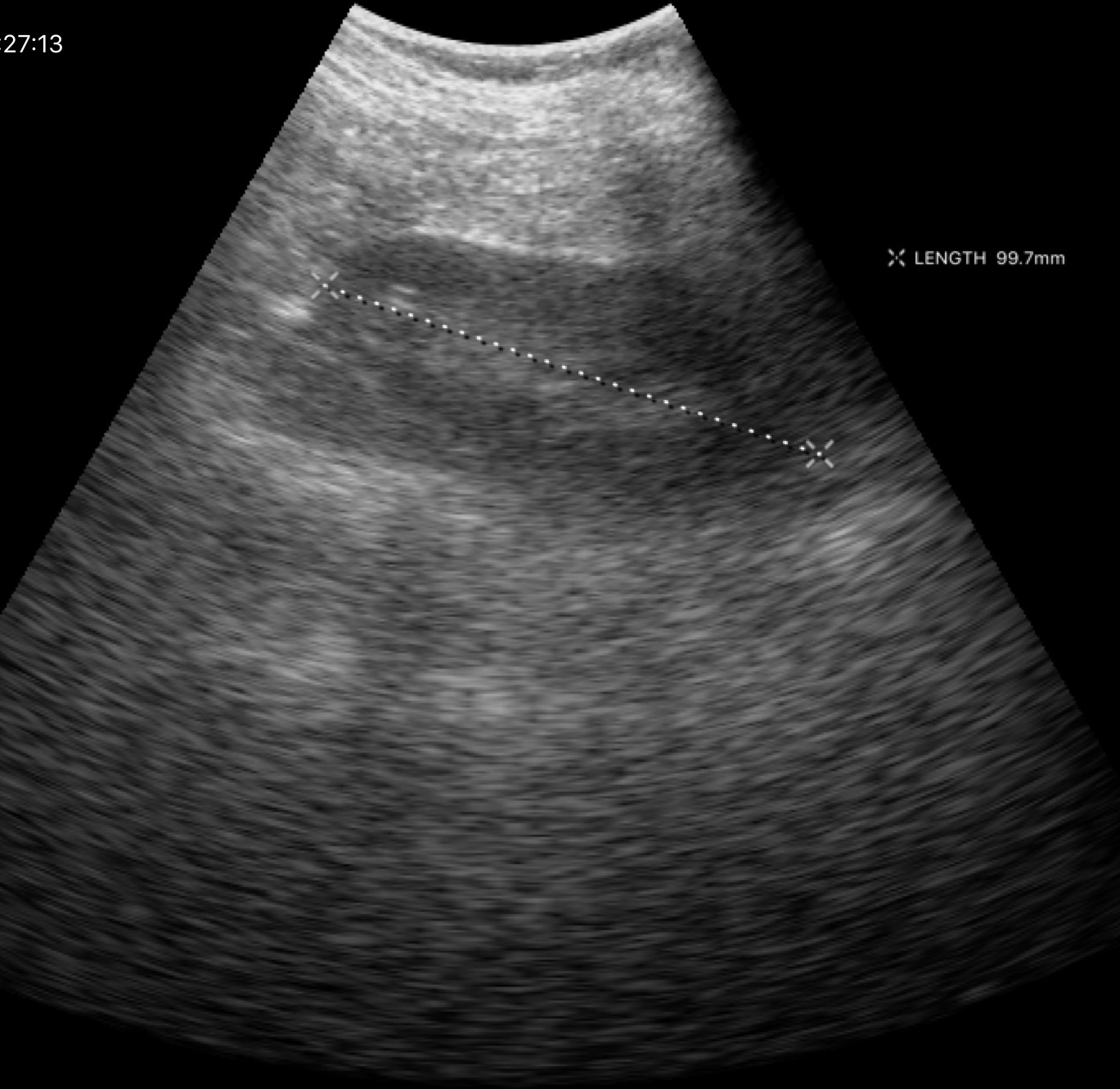
Genitourinary ultrasound.